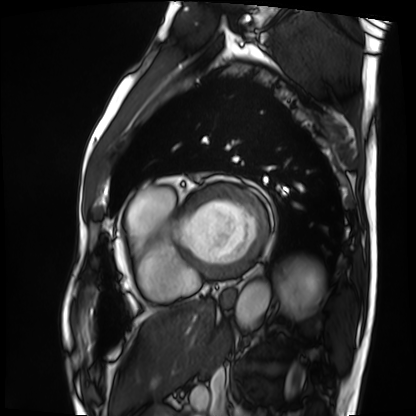
modality: cardiac MRI
cohort: patient